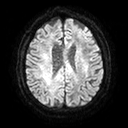
3 Tesla brain MRI.
Series: diffusion tensor imaging (medium iso).
Study: ring-enhancing brain masses.